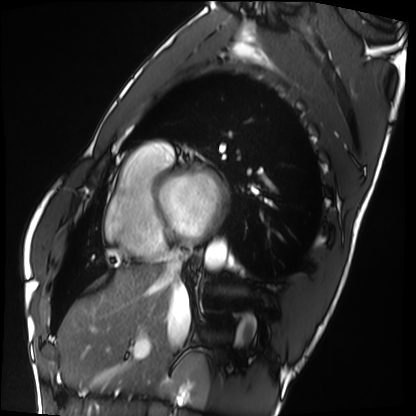
modality — cardiac MRI | subject group — healthy volunteer.